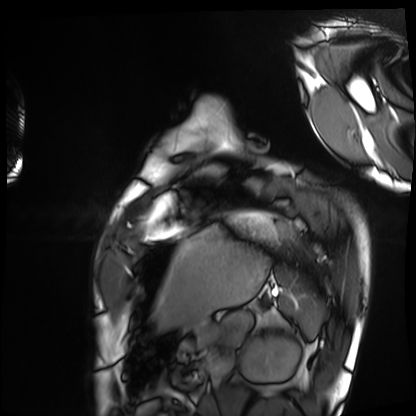
<case>
  <modality>cardiac MRI</modality>
  <cohort>healthy volunteer</cohort>
</case>